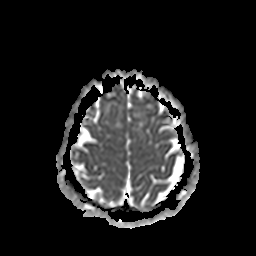
3 Tesla brain MRI.
Study: ring-enhancing brain masses.